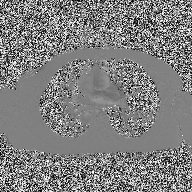
<case>
<modality>
  <type>2D phase-contrast cine MRI</type>
  <region>ascending aorta</region>
  <reconstruction>high-resolution GRAPPA acquisition</reconstruction>
</modality>
</case>